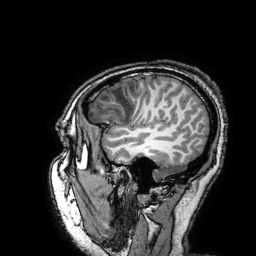
3 Tesla brain MRI.
Series: 3D T1-weighted turbo field echo with SENSE.
Study: ring-enhancing brain masses.